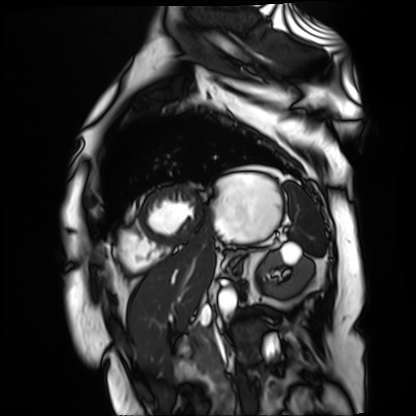
Q: What kind of scan is this?
A: Cardiac MR image of the myocardium.
Subject cohort: cardiac patient.